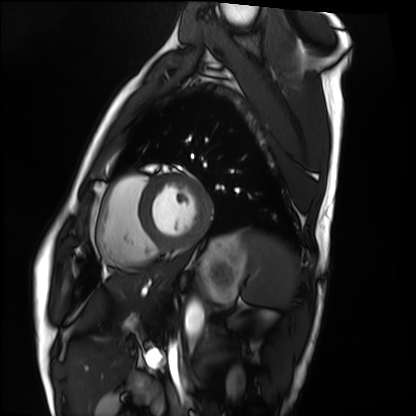
| field | value |
|---|---|
| modality | cardiac MRI |
| subject group | healthy volunteer |